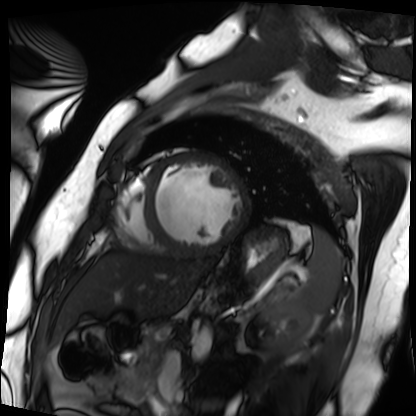
Cardiac MRI. Subject group: patient.